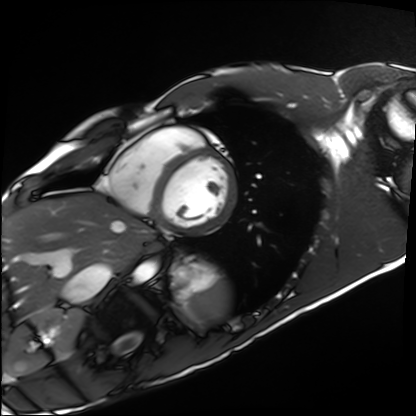
{"modality": "cardiac MRI", "cohort": "healthy volunteer"}